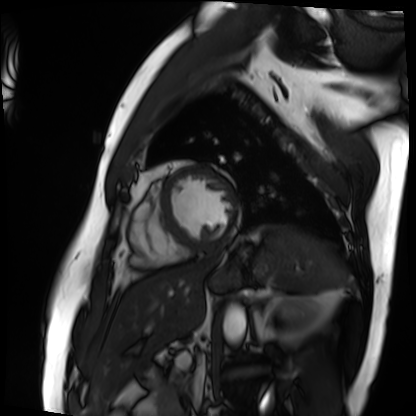
{
  "modality": "cardiac MRI",
  "cohort": "patient"
}